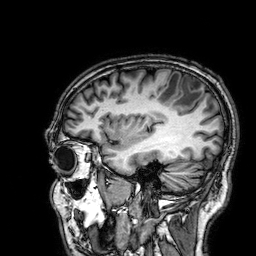
  modality:
    type: brain MRI
    field_strength: 3T
  series: 3D T1-weighted
  study_topic: ring-enhancing brain masses